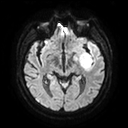
* modality: 3 Tesla brain MRI
* series: diffusion tensor imaging (medium iso)
* study: ring-enhancing brain masses